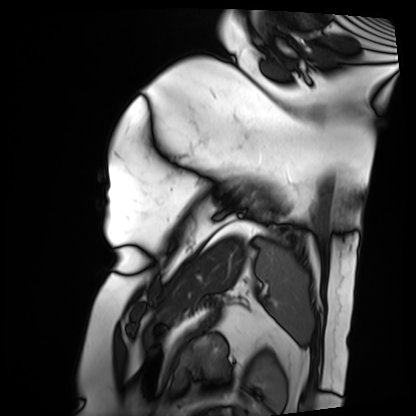
modality: cardiac MRI | subject group: patient.